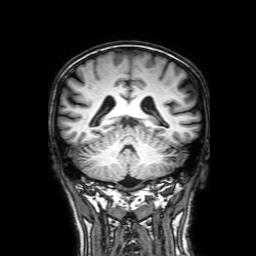
modality — 3 Tesla brain MRI; series — 3D T1-weighted with SENSE; study — ring-enhancing brain masses.